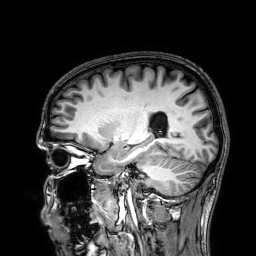
modality: 3 Tesla brain MRI
series: 3D T1-weighted
study: ring-enhancing brain masses